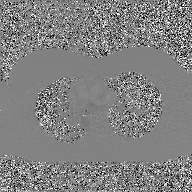
Q: What kind of scan is this?
A: 2D phase-contrast cine MRI of the ascending aorta, GAN super-resolution reconstruction.